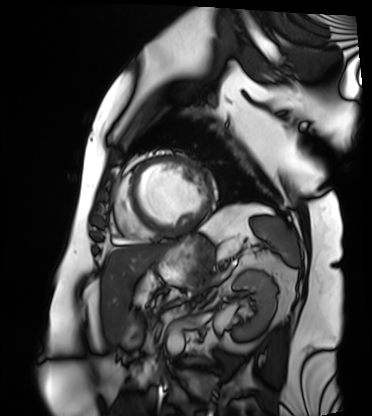
modality: cardiac MRI
cohort: patient